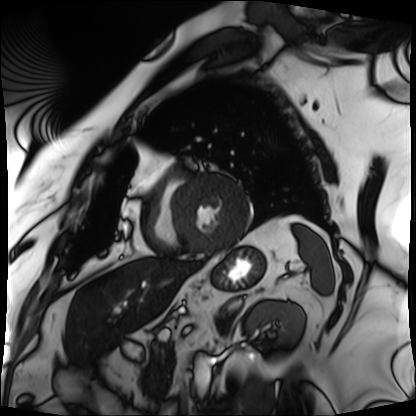
<study>
  <modality>cardiac MRI</modality>
  <cohort>patient</cohort>
</study>